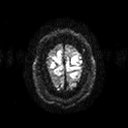
Summary: 3 Tesla brain MRI. Series: diffusion tensor imaging (medium iso). Study: ring-enhancing brain masses.